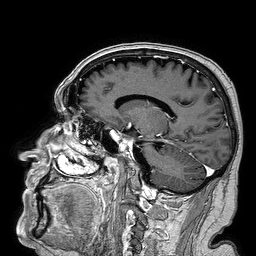
3 Tesla brain MRI.
Study: ring-enhancing brain masses.